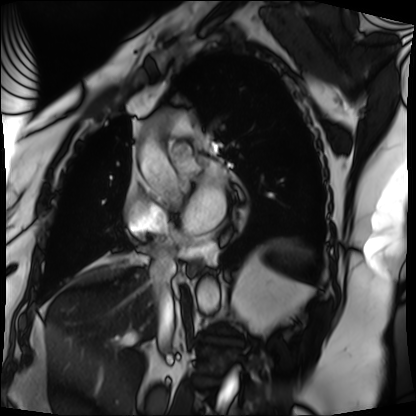
• modality: cardiac MRI
• subject group: patient